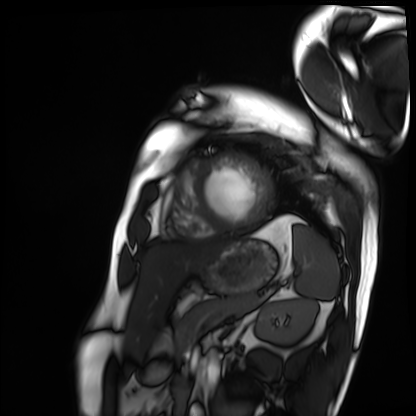
Cardiac MRI.
Subject group: patient.